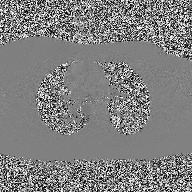
modality = 2D phase-contrast cine MRI of the ascending aorta.